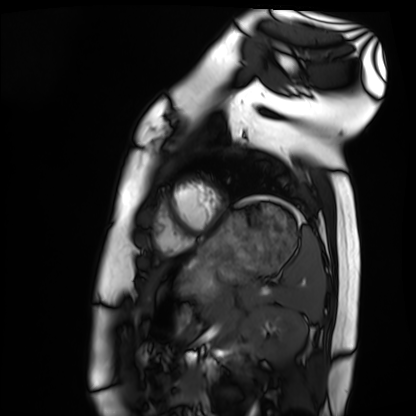
• modality — cardiac MRI
• subject group — healthy volunteer